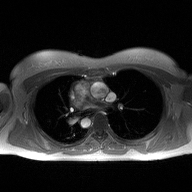
modality=2D phase-contrast cine MRI of the ascending aorta.